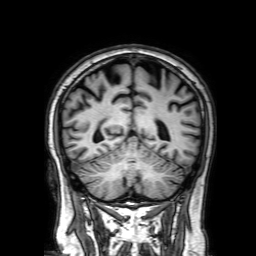
Summary:
3 Tesla brain MRI. Series: 3D T1-weighted with SENSE. Study: ring-enhancing brain masses.